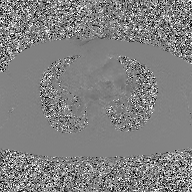
| field | value |
|---|---|
| modality | 2D phase-contrast cine MRI of the ascending aorta, GAN super-resolution reconstruction |